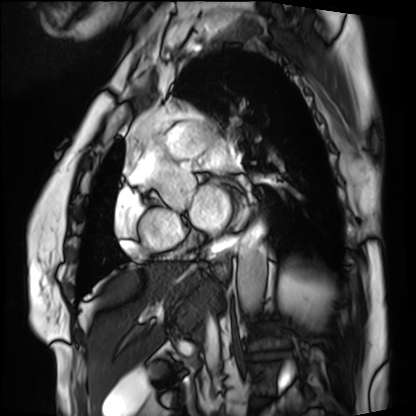
  modality: cardiac MRI
  cohort: patient